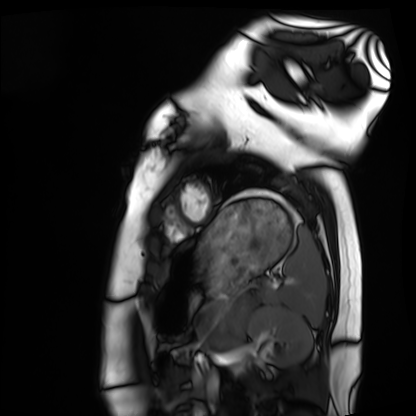
Q: What kind of scan is this?
A: Cardiac MRI.
Subject group: healthy volunteer.